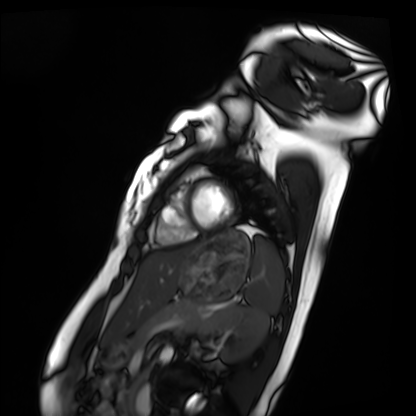
Q: What kind of scan is this?
A: Cardiac MRI.
Subject group: healthy volunteer.